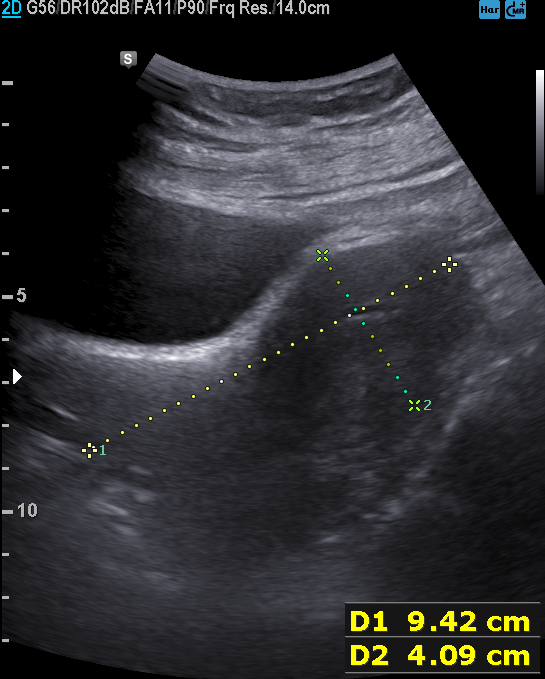
Genitourinary ultrasound.